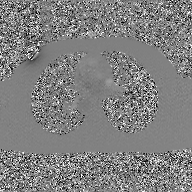
Q: What kind of scan is this?
A: 2D phase-contrast cine MRI of the ascending aorta, GAN super-resolution reconstruction.